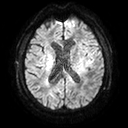
  modality:
    type: brain MRI
    field_strength: 3T
  series: diffusion tensor imaging (medium iso)
  study_topic: ring-enhancing brain masses